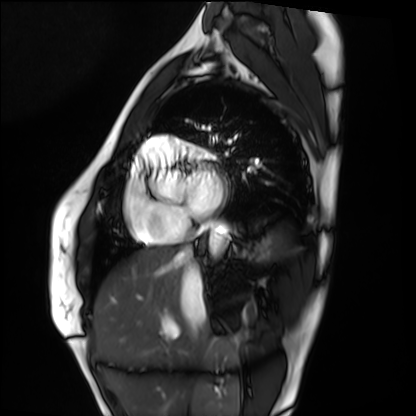
modality: cardiac MRI | subject group: healthy volunteer.